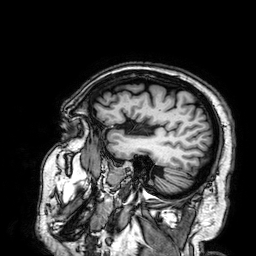
3 Tesla brain MRI. Series: 3D T1-weighted. Study: ring-enhancing brain masses.